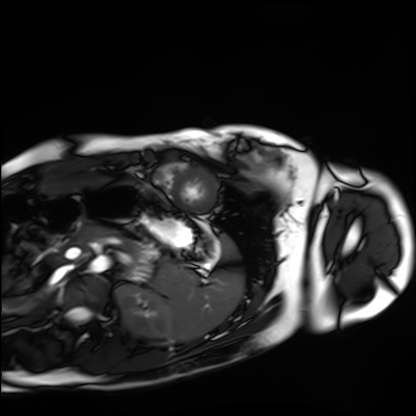
Cardiac MRI. Subject group: healthy volunteer.